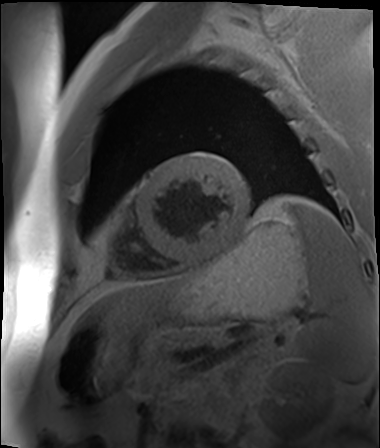
Cardiac MR image of the myocardium.
Subject cohort: cardiac patient.